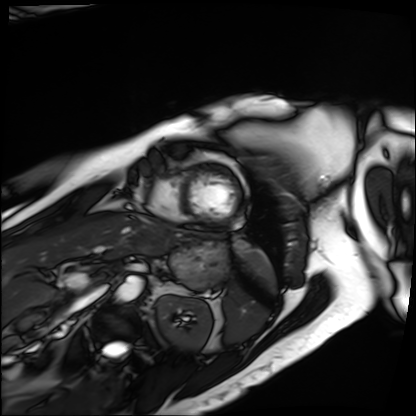
modality: cardiac MRI; subject group: patient.